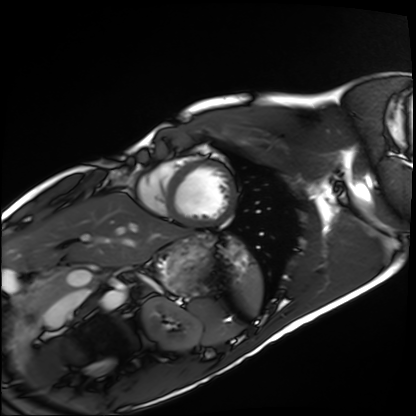
modality: cardiac MRI; subject group: healthy volunteer.